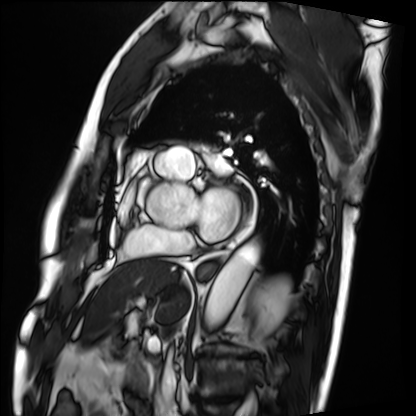
modality: cardiac MRI
subject group: patient